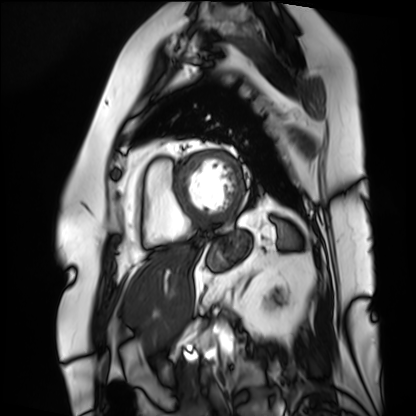
Cardiac MRI. Subject group: patient.